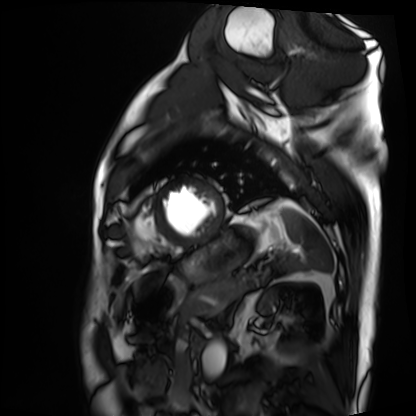
– modality · cardiac MRI
– subject group · patient